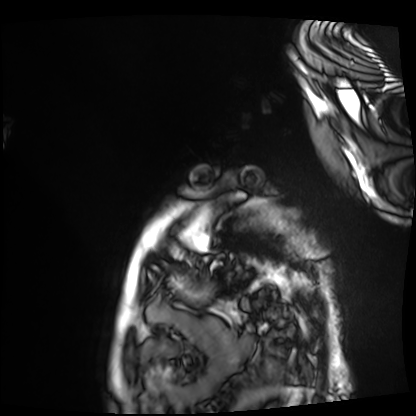
Q: What kind of scan is this?
A: Cardiac MRI.
Subject group: patient.